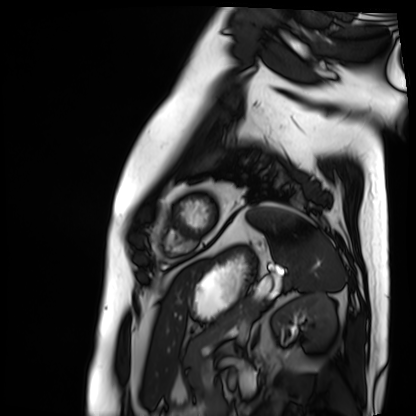
Cardiac MRI. Subject group: patient.